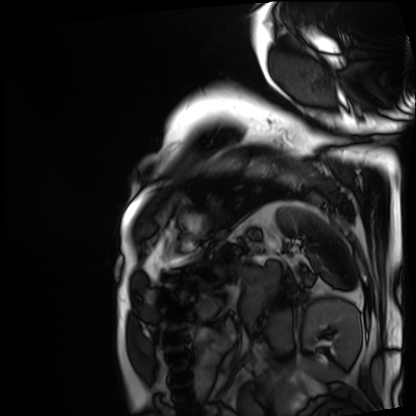
– modality: cardiac MRI
– subject group: patient